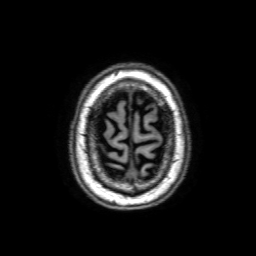
Case:
– modality: 3 Tesla brain MRI
– series: 3D T1-weighted with SENSE
– study: ring-enhancing brain masses